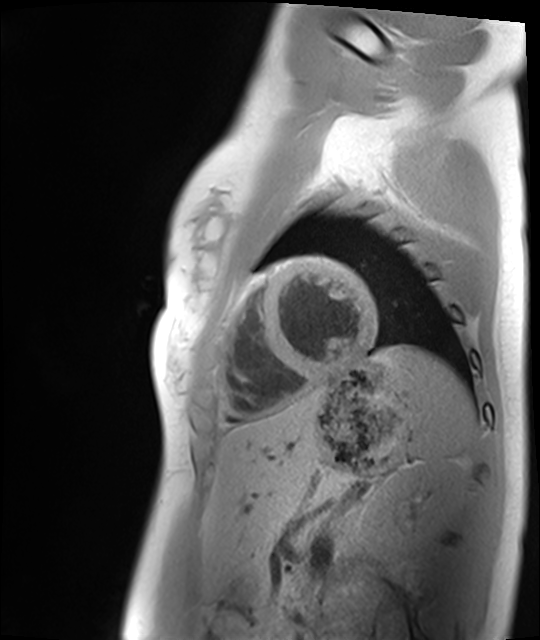
Cardiac MRI. Subject group: healthy volunteer.